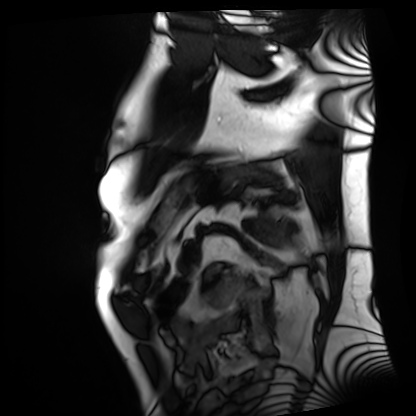
Cardiac MRI. Subject group: patient.